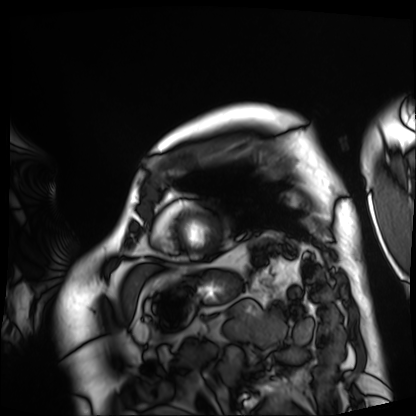
modality = cardiac MRI; subject group = patient.